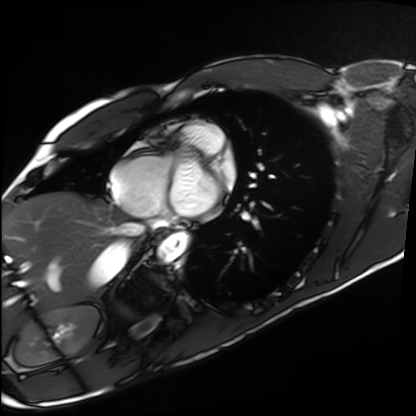
{
  "modality": "cardiac MRI",
  "cohort": "healthy volunteer"
}